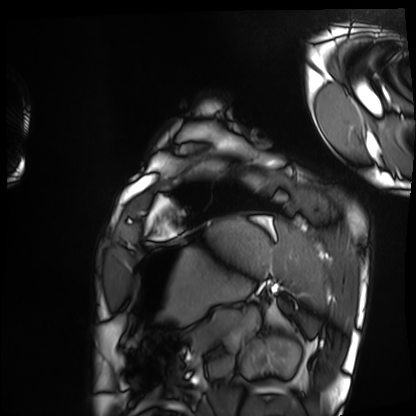
• modality: cardiac MRI
• subject group: healthy volunteer